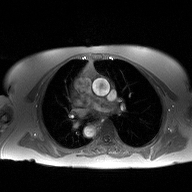
2D phase-contrast cine MRI of the ascending aorta, high-resolution GRAPPA acquisition.